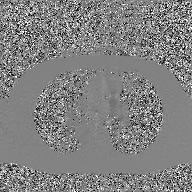
modality = 2D phase-contrast cine MRI of the ascending aorta, GAN super-resolution reconstruction.